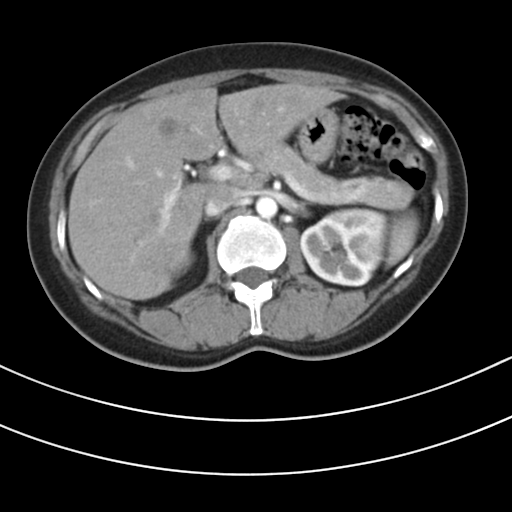
Summary:
Multiphase abdominal CT, liver, arterial phase. Patient: female, age 43.